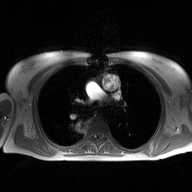
Case:
– modality · 2D phase-contrast cine MRI of the ascending aorta